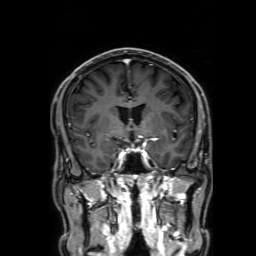
modality = 3 Tesla brain MRI | series = 3D T1-weighted with SENSE | study = ring-enhancing brain masses.